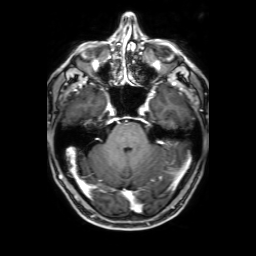
3 Tesla brain MRI.
Series: 3D T1-weighted with SENSE.
Study: ring-enhancing brain masses.